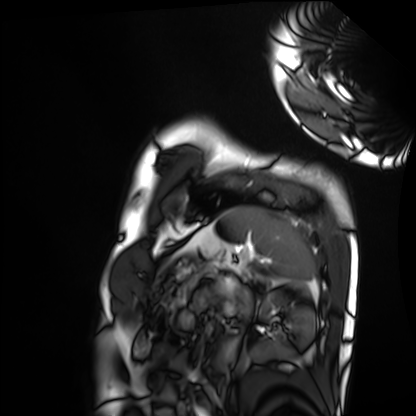
{
  "modality": "cardiac MRI",
  "cohort": "healthy volunteer"
}